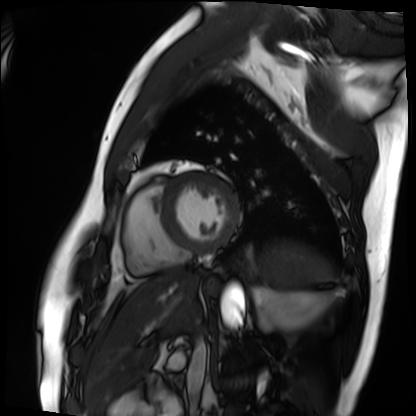
Summary:
Cardiac MRI. Subject group: patient.